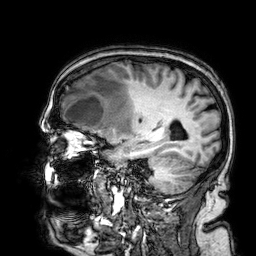
Clinical context: 3 Tesla brain MRI. Series: 3D T1-weighted. Study: ring-enhancing brain masses.